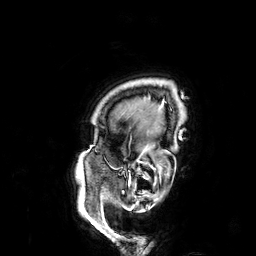
modality: 3 Tesla brain MRI
series: 3D T1-weighted
study: ring-enhancing brain masses